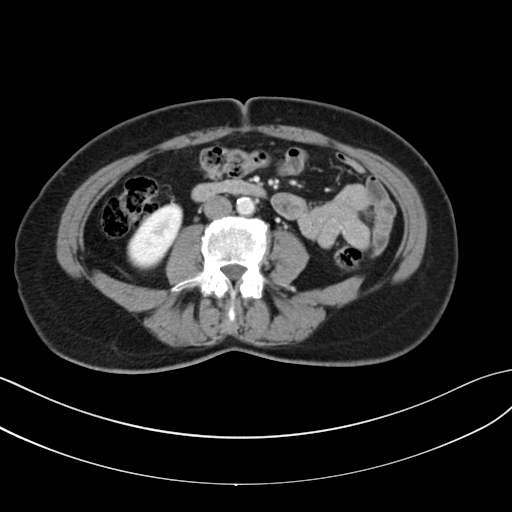
Summary:
Multiphase abdominal CT, liver, portal venous phase. Patient: female, age 62. History: prior chemotherapy.